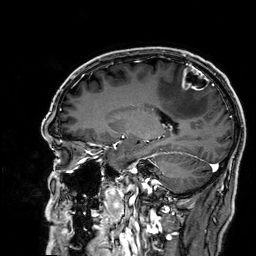
3 Tesla brain MRI.
Series: 3D T1-weighted.
Study: ring-enhancing brain masses.